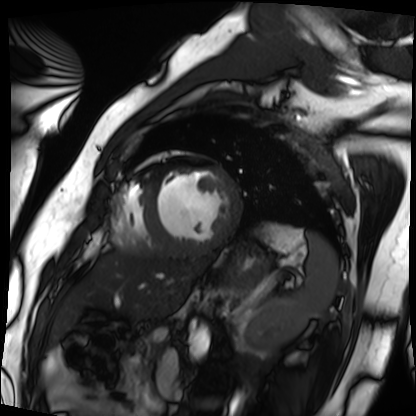
Cardiac MRI.
Subject group: patient.